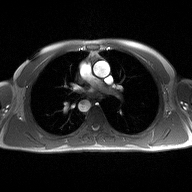
  modality:
    type: 2D phase-contrast cine MRI
    region: ascending aorta
    reconstruction: high-resolution GRAPPA acquisition